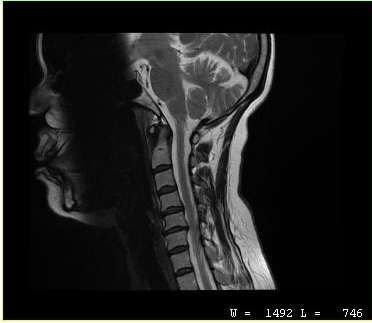
modality = MRI of the cervical spine | study = cervical spondylosis.